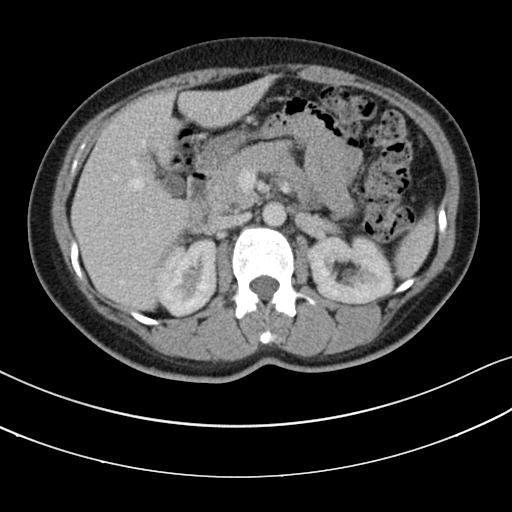
Multiphase abdominal CT, liver, portal venous phase. Patient: female, age 46.